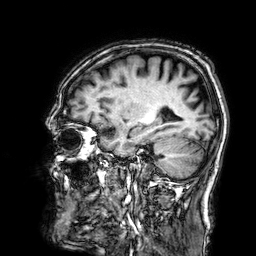
3 Tesla brain MRI. Series: 3D T1-weighted. Study: ring-enhancing brain masses.